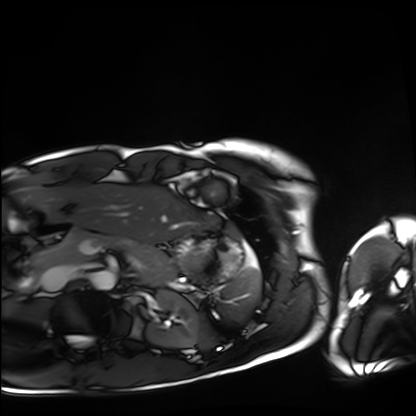
modality — cardiac MRI | subject group — healthy volunteer.